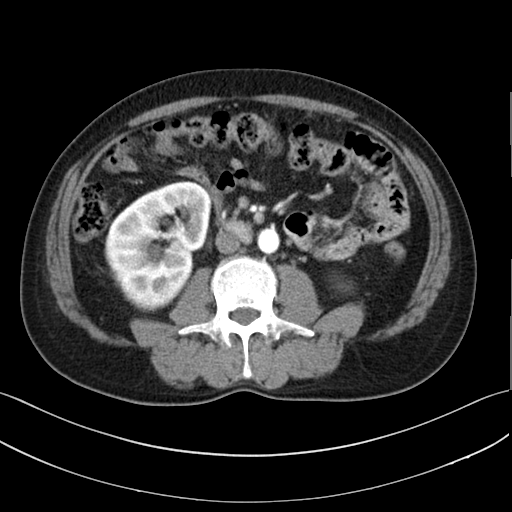
Summary: Multiphase abdominal CT, liver, arterial phase.